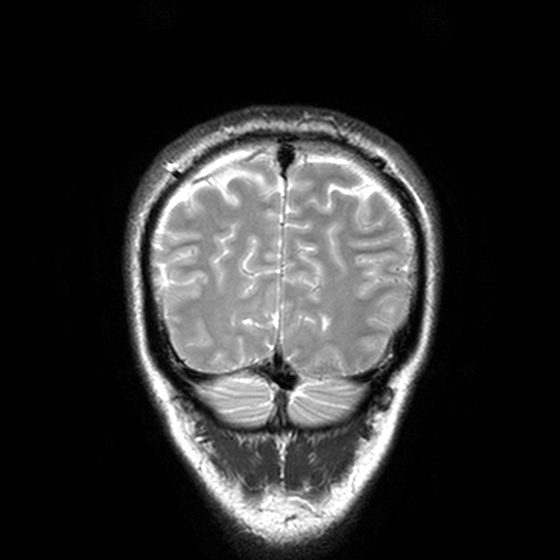
Summary: 3 Tesla brain MRI. Study: ring-enhancing brain masses.